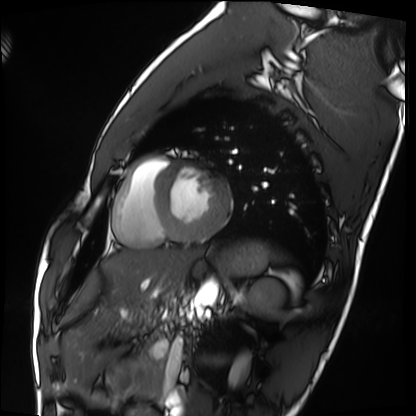
<case>
<modality>cardiac MRI</modality>
<cohort>healthy volunteer</cohort>
</case>